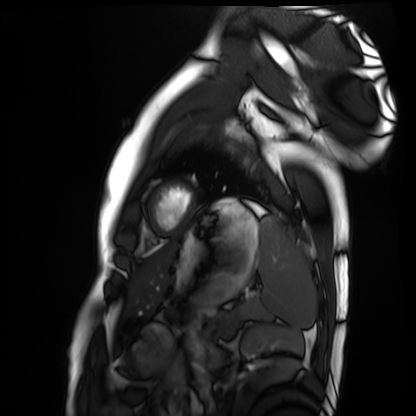
modality: cardiac MRI
subject group: healthy volunteer